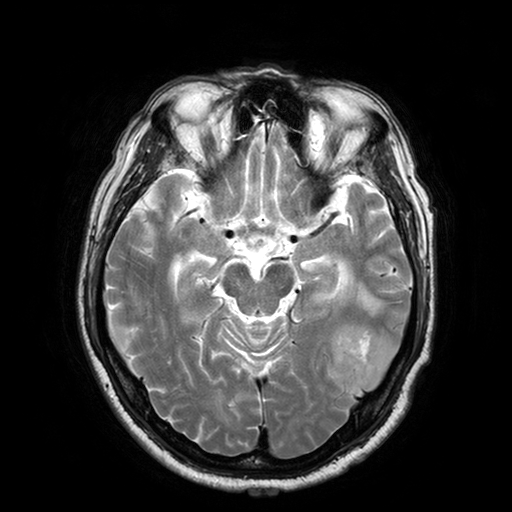
Summary:
3 Tesla brain MRI. Series: T2-weighted turbo spin echo with SENSE. Study: ring-enhancing brain masses.